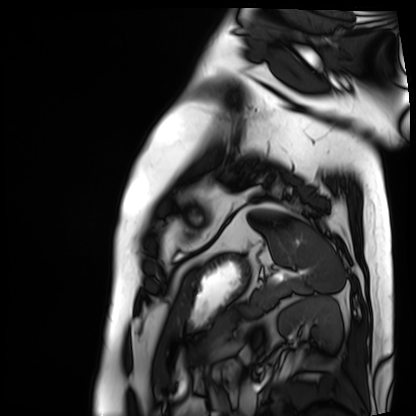
Q: What kind of scan is this?
A: Cardiac MRI.
Subject group: patient.